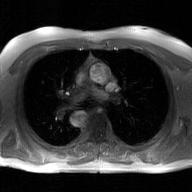
2D phase-contrast cine MRI of the ascending aorta, GAN super-resolution reconstruction.